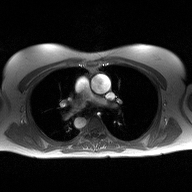
<scan>
<modality>
  <type>2D phase-contrast cine MRI</type>
  <region>ascending aorta</region>
  <reconstruction>high-resolution GRAPPA acquisition</reconstruction>
</modality>
</scan>